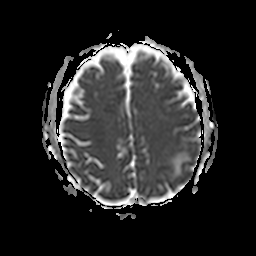
– modality: 3 Tesla brain MRI
– series: apparent diffusion coefficient (ADC) map
– study: ring-enhancing brain masses